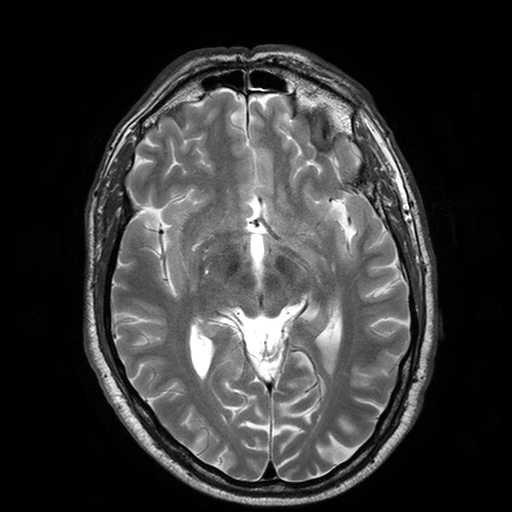
3 Tesla brain MRI.
Series: T2-weighted turbo spin echo with SENSE.
Study: ring-enhancing brain masses.